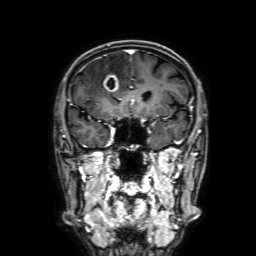
modality — 3 Tesla brain MRI | series — 3D T1-weighted with SENSE | study — ring-enhancing brain masses.